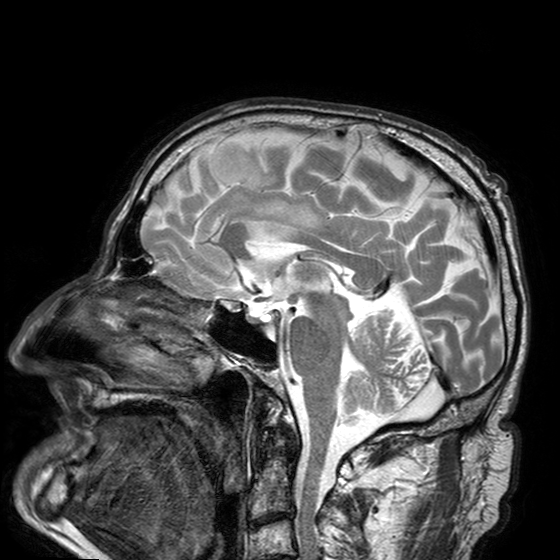
<case>
<modality>
  <type>brain MRI</type>
  <field_strength>3T</field_strength>
</modality>
<series>T2-weighted turbo spin echo with SENSE</series>
<study_topic>ring-enhancing brain masses</study_topic>
</case>